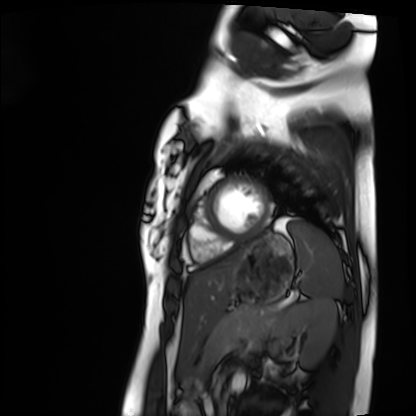
Cardiac MRI. Subject group: healthy volunteer.